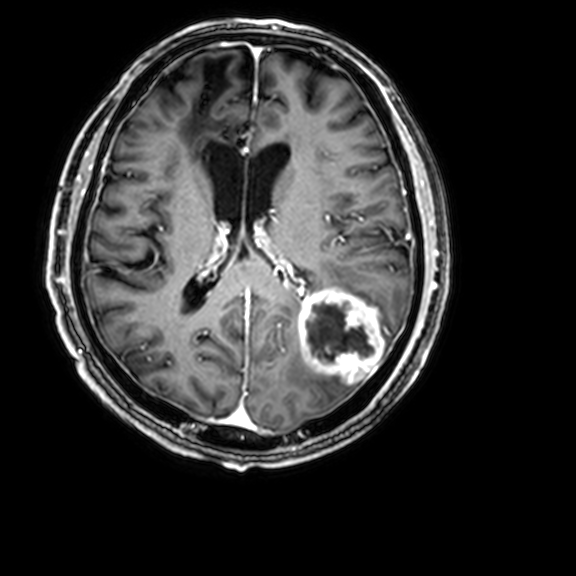
<case>
<modality>
  <type>brain MRI</type>
  <field_strength>3T</field_strength>
</modality>
<series>3D T1-weighted with CLEAR</series>
<study_topic>ring-enhancing brain masses</study_topic>
</case>